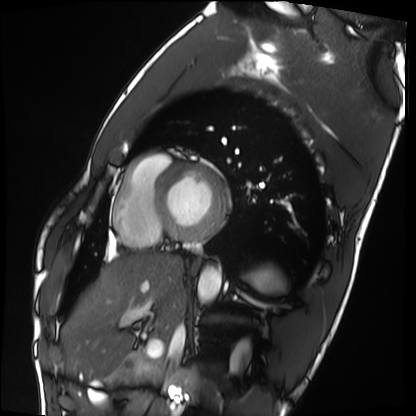
Case summary:
Cardiac MRI. Subject group: healthy volunteer.